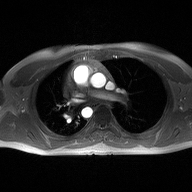
2D phase-contrast cine MRI of the ascending aorta, high-resolution GRAPPA acquisition.